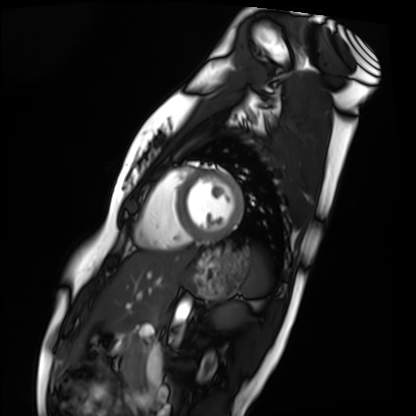
Cardiac MRI.
Subject group: healthy volunteer.